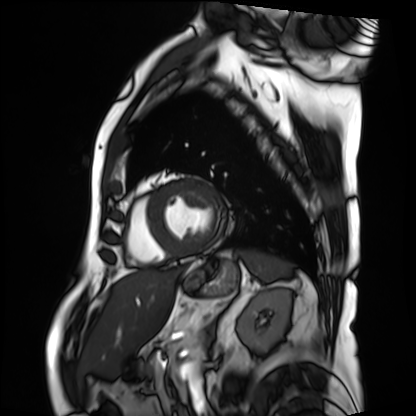
Cardiac MRI.
Subject group: patient.